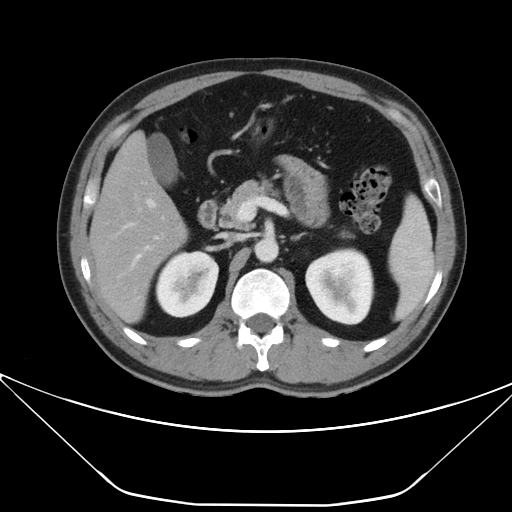
Multiphase abdominal CT, liver, portal venous phase.
Patient: male, age 38.